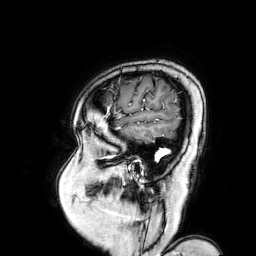
modality — 3 Tesla brain MRI; series — 3D T1-weighted turbo field echo with SENSE; study — ring-enhancing brain masses.